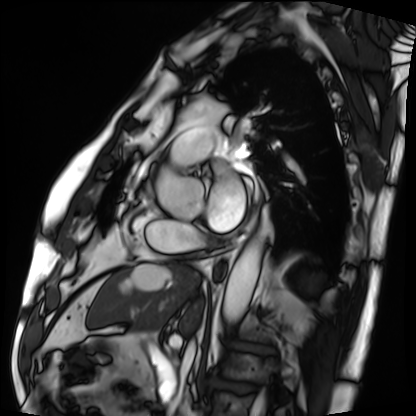
{"modality": "cardiac MRI", "cohort": "patient"}